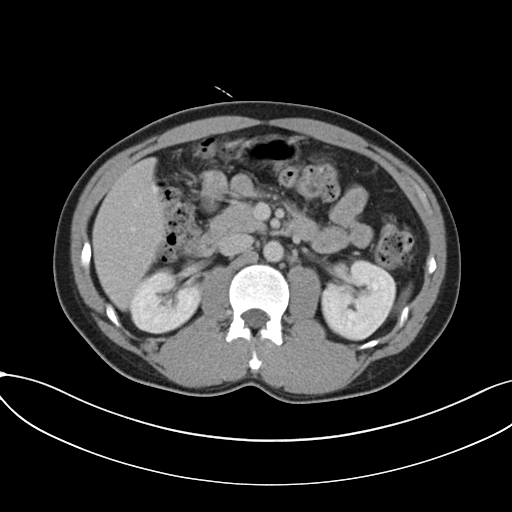
modality = multiphase abdominal CT, liver, delayed phase
patient = male, age 36
history = cirrhosis, viral hepatitis